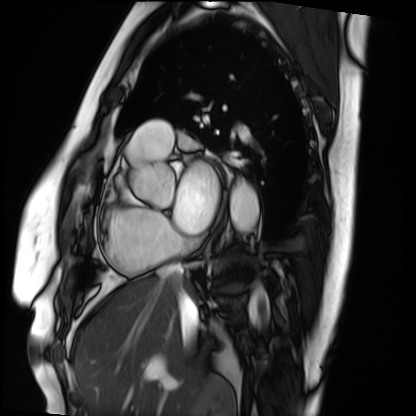
| field | value |
|---|---|
| modality | cardiac MRI |
| subject group | patient |